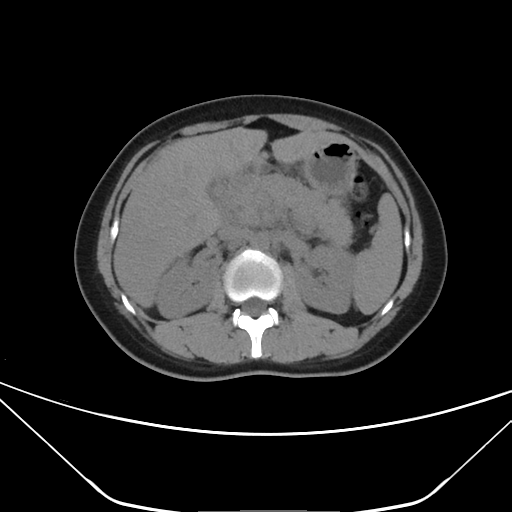
modality: multiphase abdominal CT, liver, non-contrast phase
patient: female, age 28